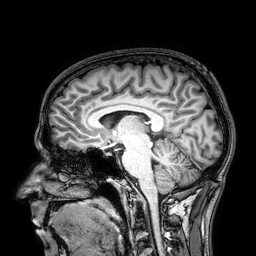
modality: 3 Tesla brain MRI; series: 3D T1-weighted; study: ring-enhancing brain masses.